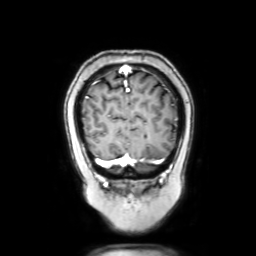
Summary: 3 Tesla brain MRI. Series: coronal with contrast. Study: ring-enhancing brain masses.